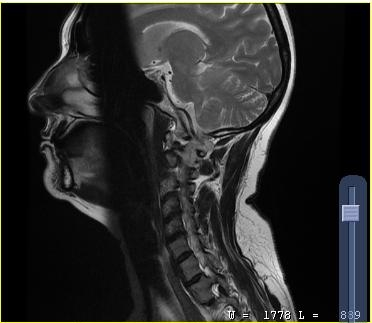
modality=MRI of the cervical spine; study=cervical spondylosis.